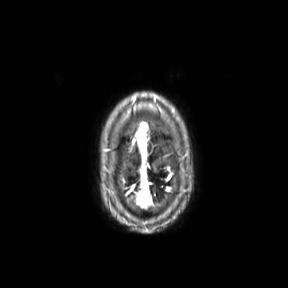
3 Tesla brain MRI. Series: axial. Study: ring-enhancing brain masses.